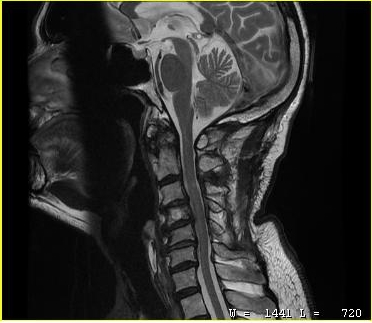
| field | value |
|---|---|
| modality | MRI of the cervical spine |
| study | cervical spondylosis |